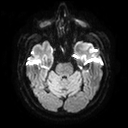
{"modality": {"type": "brain MRI", "field_strength": "3T"}, "series": "diffusion tensor imaging (medium iso)", "study_topic": "ring-enhancing brain masses"}